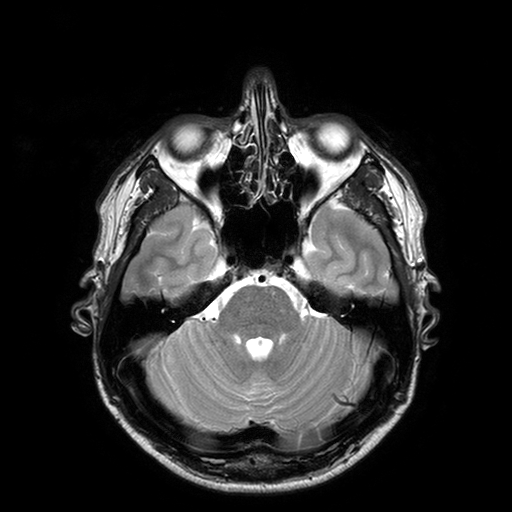
3 Tesla brain MRI.
Series: T2-weighted turbo spin echo with SENSE.
Study: ring-enhancing brain masses.